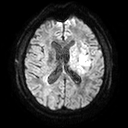
Summary: 3 Tesla brain MRI. Series: diffusion tensor imaging (medium iso). Study: ring-enhancing brain masses.